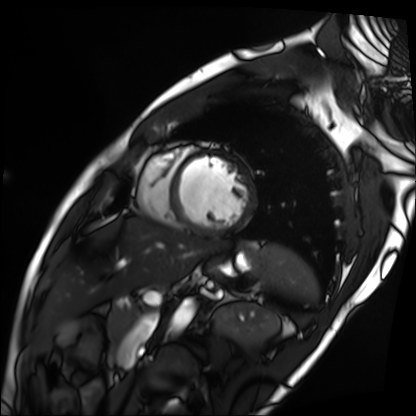
Cardiac MRI.
Subject group: patient.